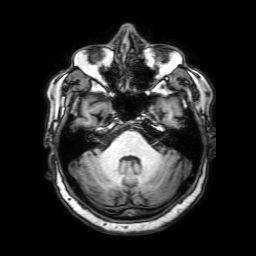
Summary:
3 Tesla brain MRI. Series: 3D T1-weighted with SENSE. Study: ring-enhancing brain masses.